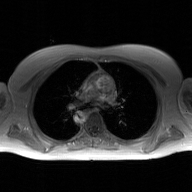
2D phase-contrast cine MRI of the ascending aorta, GAN super-resolution reconstruction.